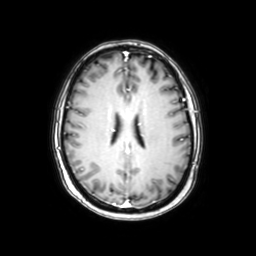
| field | value |
|---|---|
| modality | 3 Tesla brain MRI |
| study | ring-enhancing brain masses |